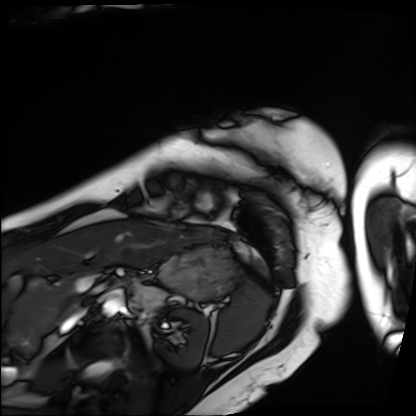
<case>
<modality>cardiac MRI</modality>
<cohort>patient</cohort>
</case>